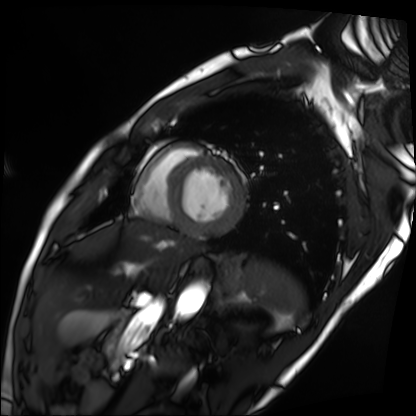
modality: cardiac MRI
subject group: patient